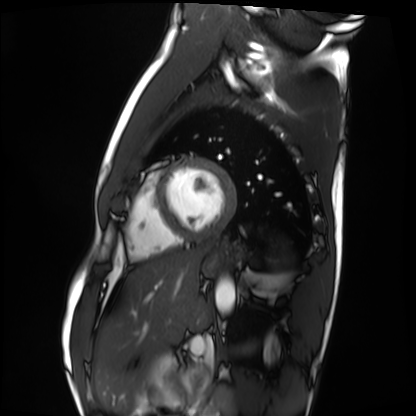
Cardiac MRI. Subject group: healthy volunteer.